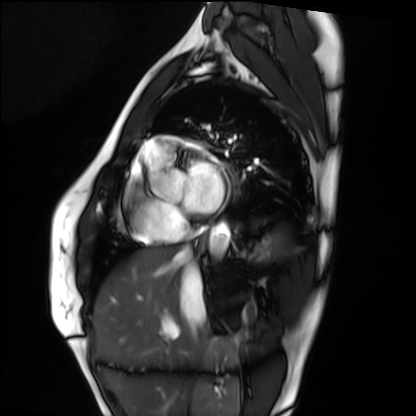
Cardiac MRI. Subject group: healthy volunteer.